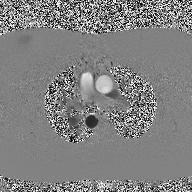
2D phase-contrast cine MRI of the ascending aorta, high-resolution GRAPPA acquisition.